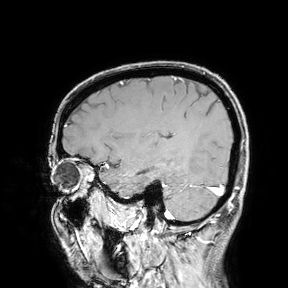
Q: What kind of scan is this?
A: 3 Tesla brain MRI.
Study: ring-enhancing brain masses.